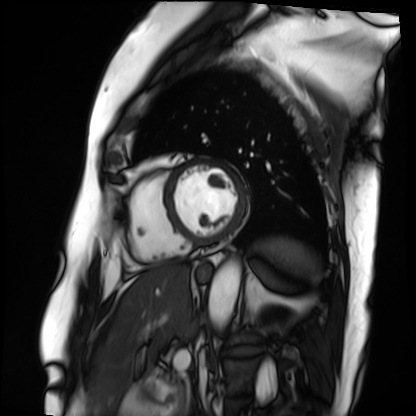
Cardiac MRI.
Subject group: patient.